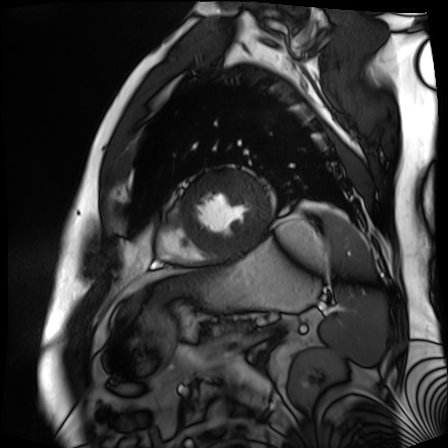
Q: What kind of scan is this?
A: Cardiac MR image of the myocardium.
Subject cohort: cardiac patient.